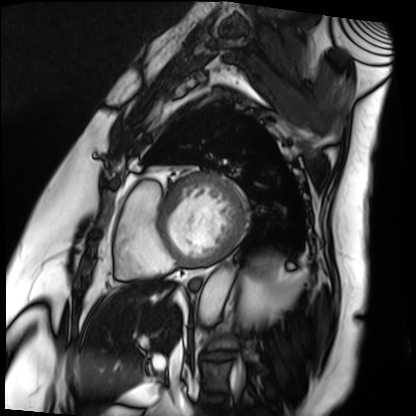
Cardiac MRI.
Subject group: patient.